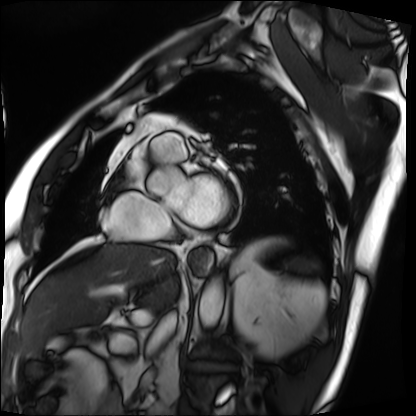
modality=cardiac MRI
subject group=patient